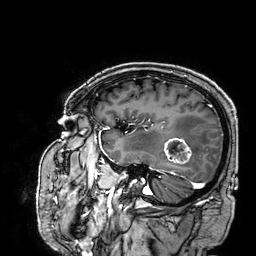
Summary: 3 Tesla brain MRI. Series: 3D T1-weighted. Study: ring-enhancing brain masses.